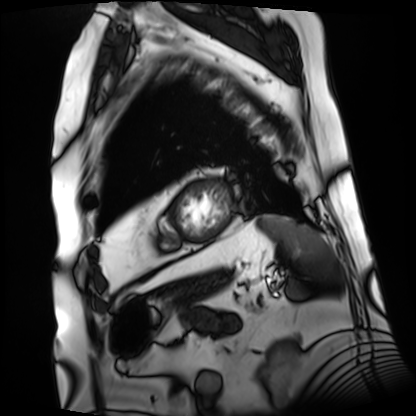
Cardiac MRI. Subject group: patient.